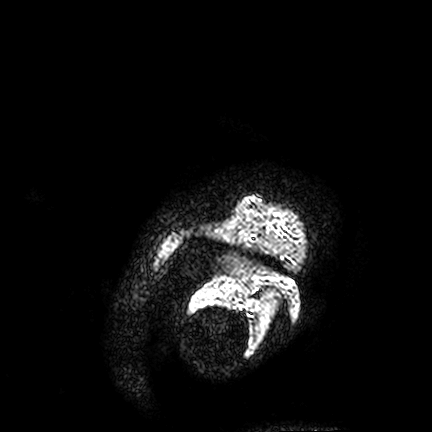
modality: 3 Tesla brain MRI | series: FLAIR VISTA | study: ring-enhancing brain masses.